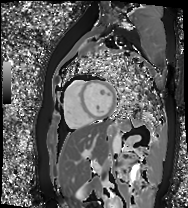
modality: cardiac MR image of the myocardium
cohort: healthy volunteer